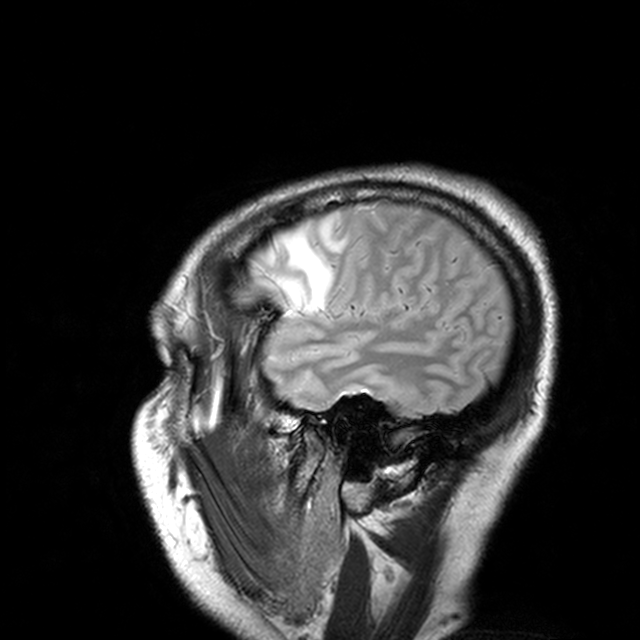
modality = 3 Tesla brain MRI | series = T2-weighted turbo spin echo with CLEAR | study = ring-enhancing brain masses.